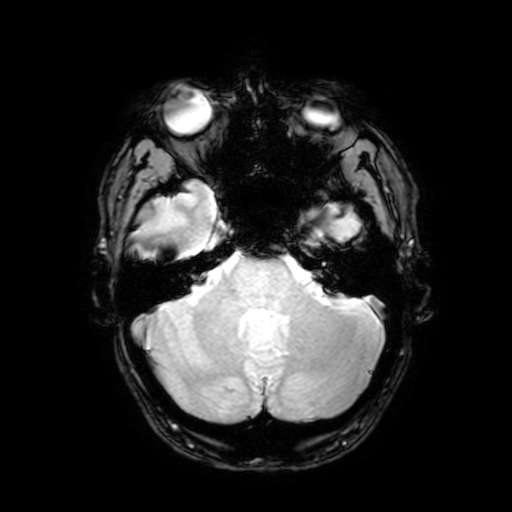
modality:
  type: brain MRI
  field_strength: 3T
series: T2-weighted fast field echo with SENSE
study_topic: ring-enhancing brain masses